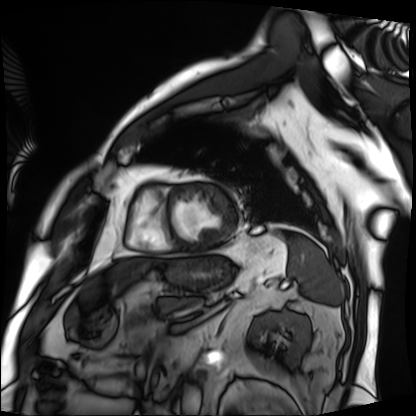
<record>
  <modality>cardiac MRI</modality>
  <cohort>patient</cohort>
</record>